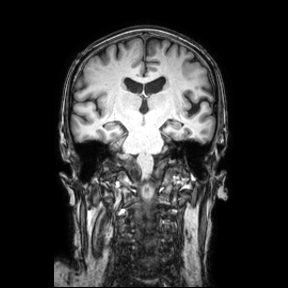
Summary: 3 Tesla brain MRI. Study: ring-enhancing brain masses.